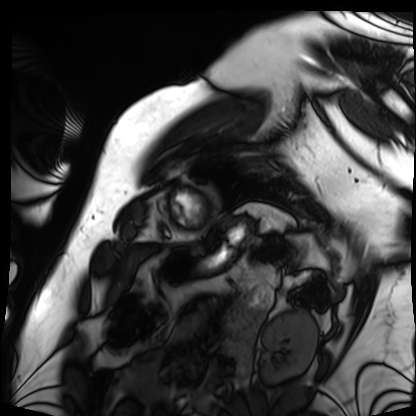
Cardiac MRI. Subject group: patient.